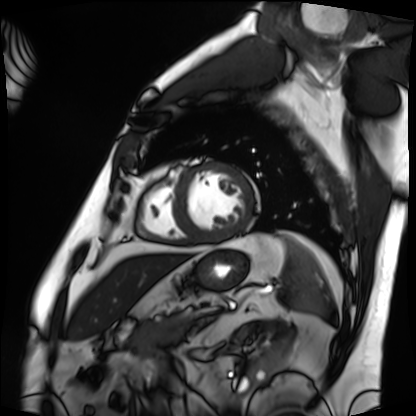
modality: cardiac MRI; subject group: patient.